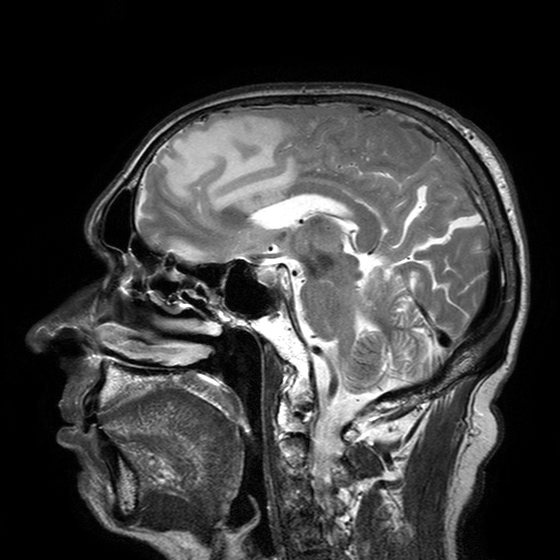
{
  "modality": {
    "type": "brain MRI",
    "field_strength": "3T"
  },
  "series": "T2-weighted turbo spin echo with SENSE",
  "study_topic": "ring-enhancing brain masses"
}